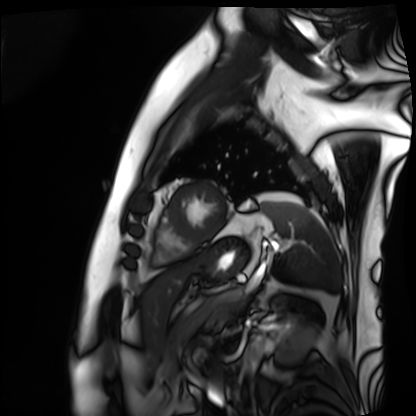
Cardiac MRI.
Subject group: patient.